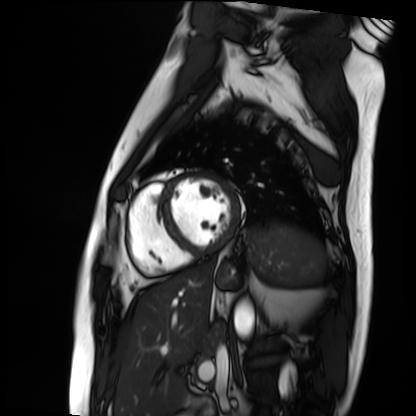
- modality: cardiac MRI
- subject group: patient